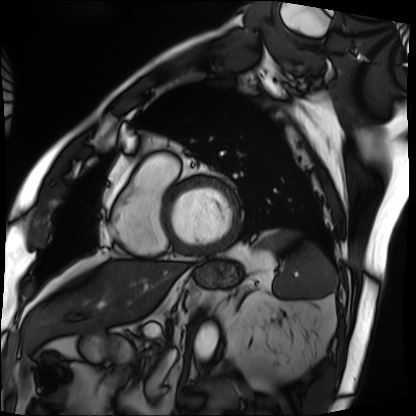
Cardiac MRI. Subject group: patient.